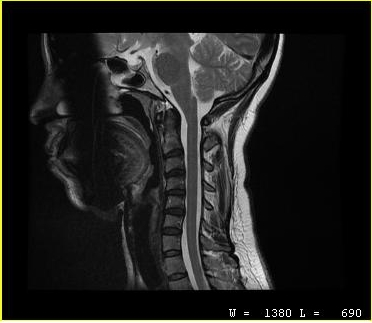
Summary:
MRI of the cervical spine. Study: cervical spondylosis.